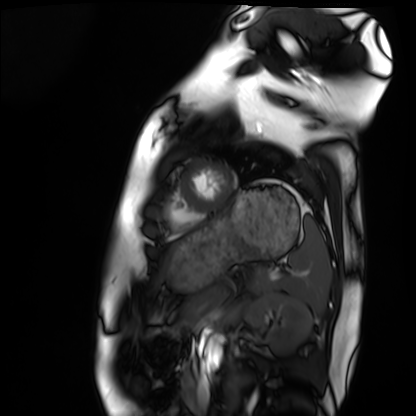
Q: What kind of scan is this?
A: Cardiac MRI.
Subject group: healthy volunteer.